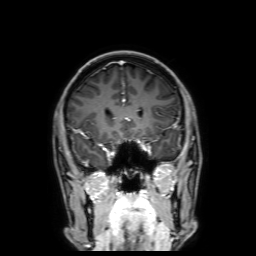
Q: What kind of scan is this?
A: 3 Tesla brain MRI.
Q: Series?
A: 3D T1-weighted with SENSE.
Study: ring-enhancing brain masses.